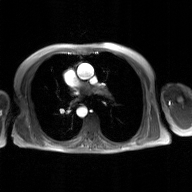
Summary: 2D phase-contrast cine MRI of the ascending aorta, GAN super-resolution reconstruction.